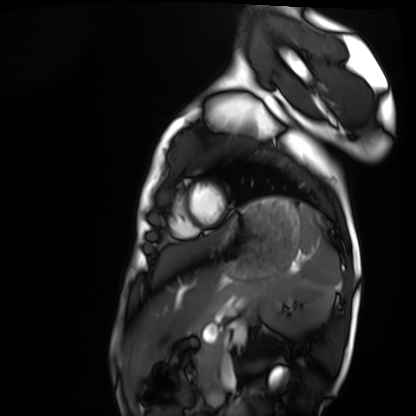
Clinical context: Cardiac MRI. Subject group: healthy volunteer.